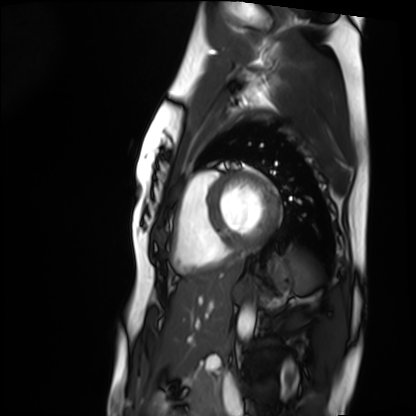
• modality · cardiac MRI
• subject group · healthy volunteer